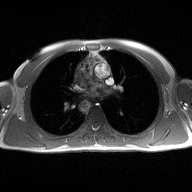
modality: 2D phase-contrast cine MRI of the ascending aorta.